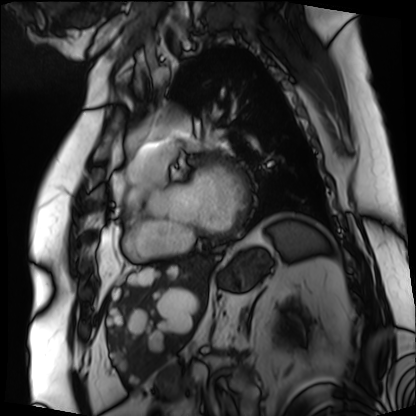
<scan>
<modality>cardiac MRI</modality>
<cohort>patient</cohort>
</scan>